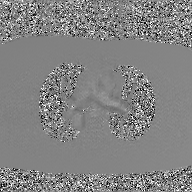
Summary:
2D phase-contrast cine MRI of the ascending aorta, GAN super-resolution reconstruction.